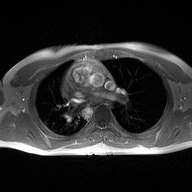
modality:
  type: 2D phase-contrast cine MRI
  region: ascending aorta
  reconstruction: high-resolution GRAPPA acquisition